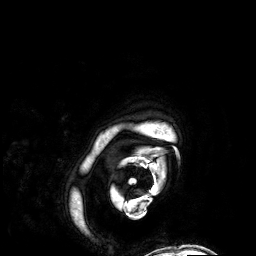
Summary: 3 Tesla brain MRI. Series: 3D T1-weighted. Study: ring-enhancing brain masses.